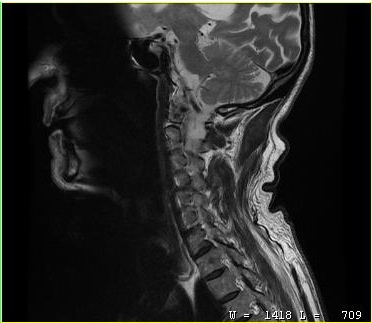
modality = MRI of the cervical spine
study = cervical spondylosis